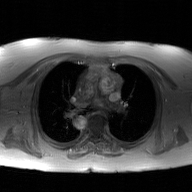
Summary: 2D phase-contrast cine MRI of the ascending aorta, GAN super-resolution reconstruction.